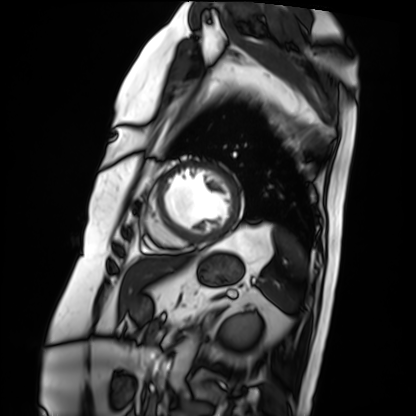
Summary: Cardiac MRI. Subject group: patient.